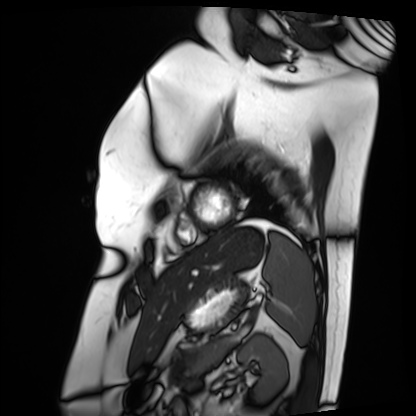
Cardiac MRI.
Subject group: patient.